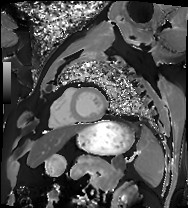
Cardiac MRI. Subject group: patient.